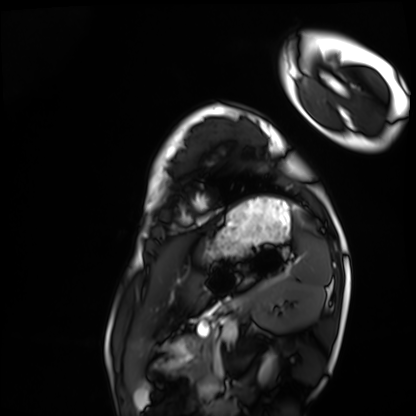
Cardiac MRI. Subject group: healthy volunteer.